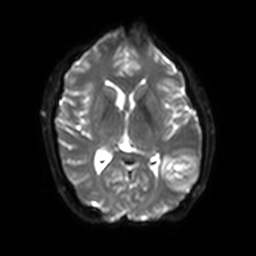
3 Tesla brain MRI.
Series: diffusion-weighted imaging with SENSE (WIP).
Study: ring-enhancing brain masses.